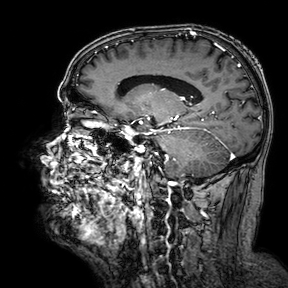
Case:
– modality — 3 Tesla brain MRI
– series — 3D T1-weighted turbo field echo with SENSE
– study — ring-enhancing brain masses